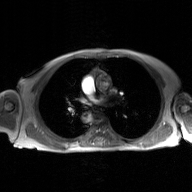
modality — 2D phase-contrast cine MRI of the ascending aorta, GAN super-resolution reconstruction.